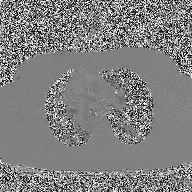
2D phase-contrast cine MRI of the ascending aorta, high-resolution GRAPPA acquisition.